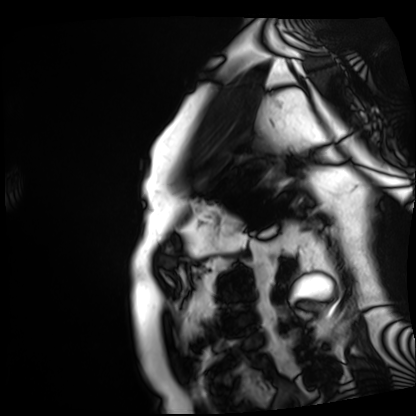
* modality · cardiac MRI
* subject group · patient